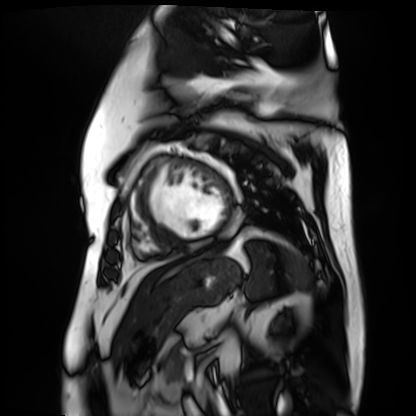
Cardiac MR image of the myocardium. Subject cohort: cardiac patient.